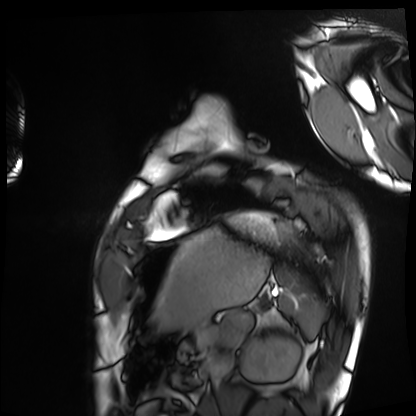
Case summary: Cardiac MRI. Subject group: healthy volunteer.